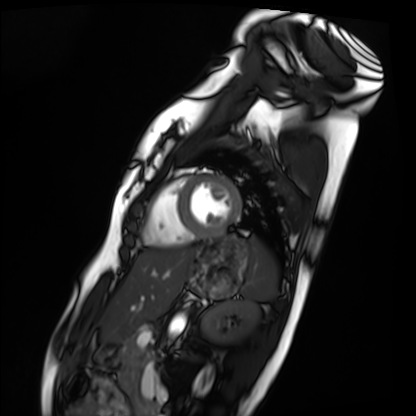
{
  "modality": "cardiac MRI",
  "cohort": "healthy volunteer"
}